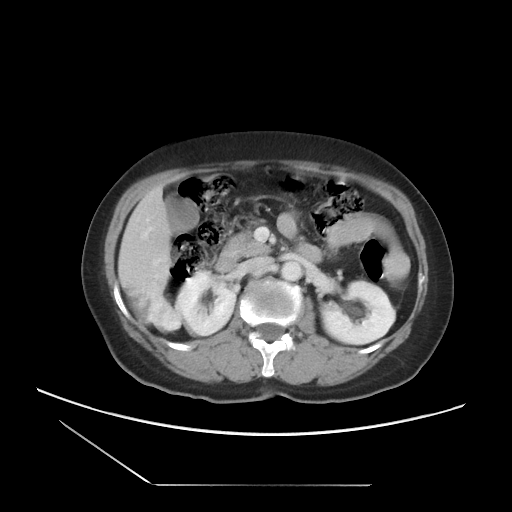
Multiphase abdominal CT, liver, portal venous phase.
Patient: female, age 60.